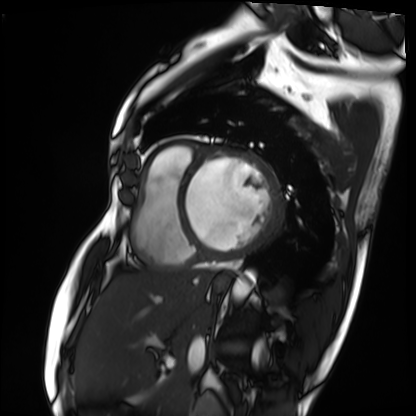
Q: What kind of scan is this?
A: Cardiac MRI.
Subject group: patient.